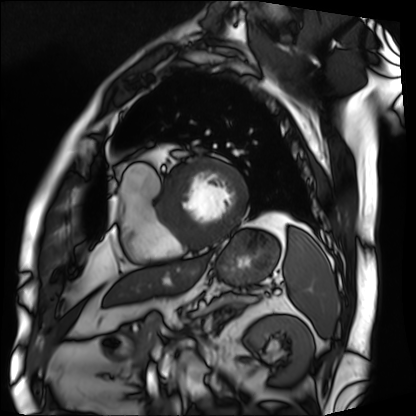
Cardiac MRI. Subject group: patient.